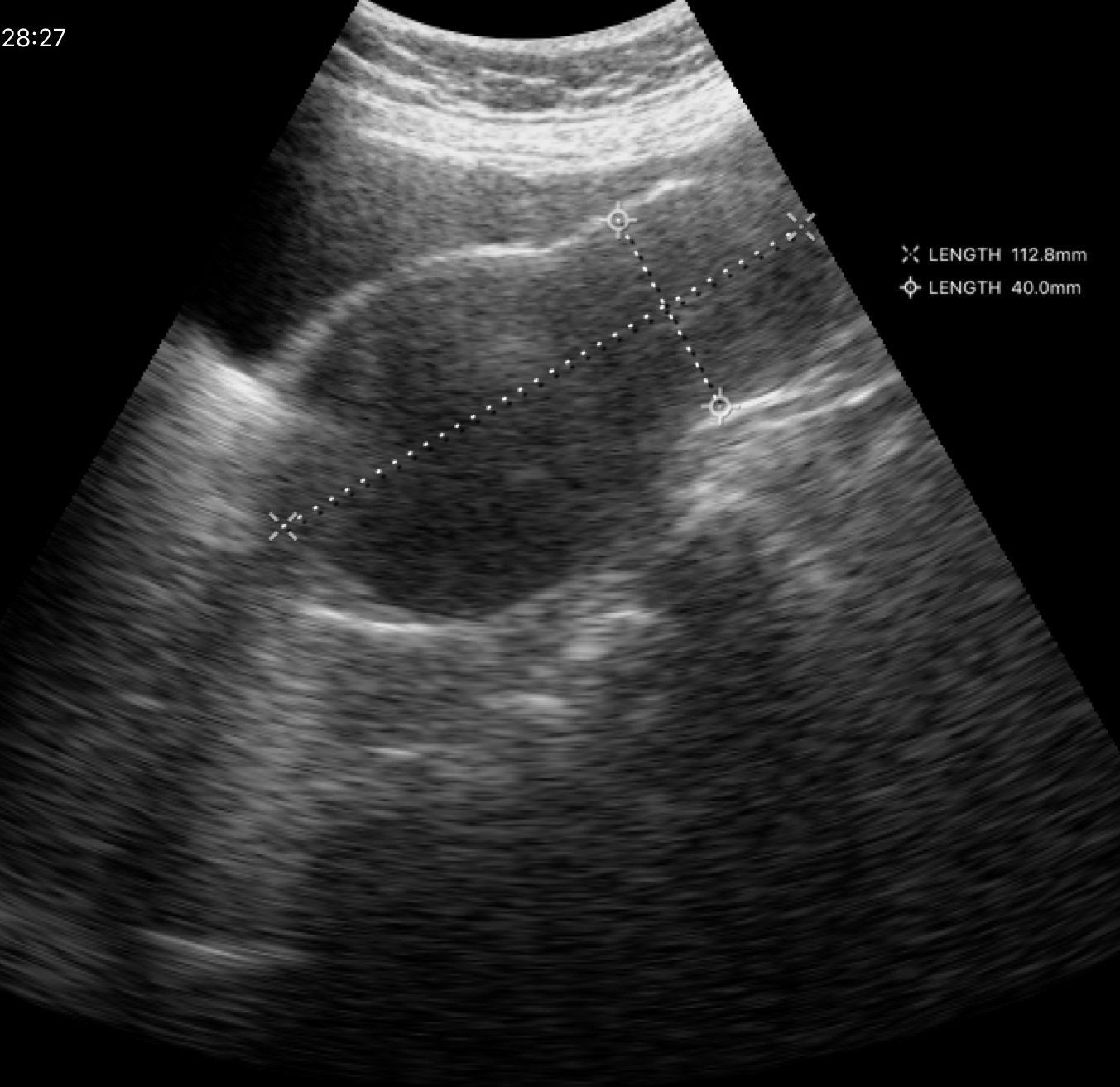
Genitourinary ultrasound.